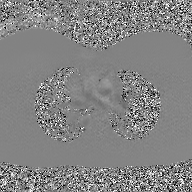
Summary: 2D phase-contrast cine MRI of the ascending aorta, GAN super-resolution reconstruction.